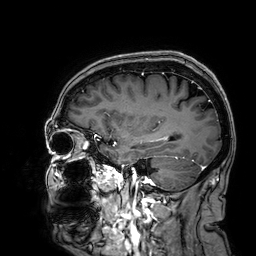
* modality · 3 Tesla brain MRI
* series · 3D T1-weighted
* study · ring-enhancing brain masses